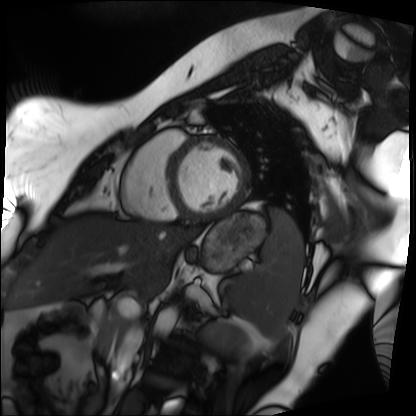
Cardiac MRI. Subject group: patient.